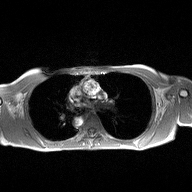
modality: 2D phase-contrast cine MRI of the ascending aorta